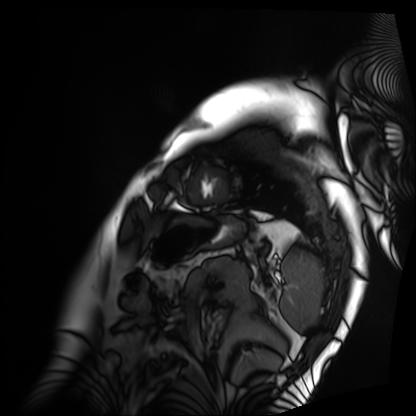
modality: cardiac MRI
cohort: patient